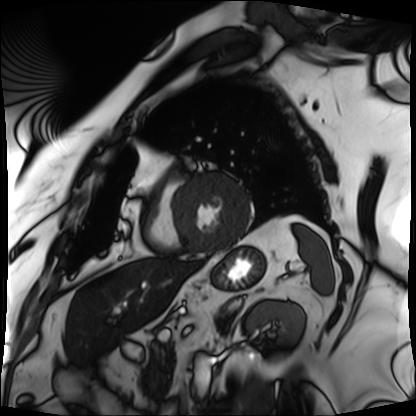
modality = cardiac MRI; subject group = patient.